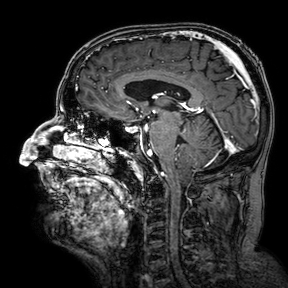
3 Tesla brain MRI. Series: 3D T1-weighted turbo field echo with SENSE. Study: ring-enhancing brain masses.